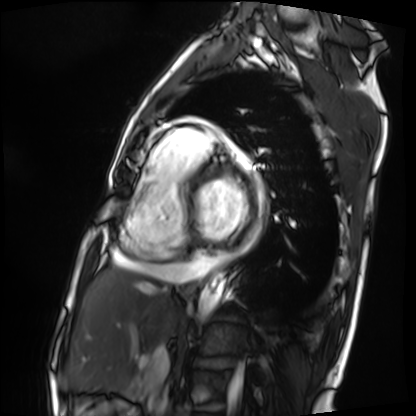
Cardiac MRI. Subject group: patient.